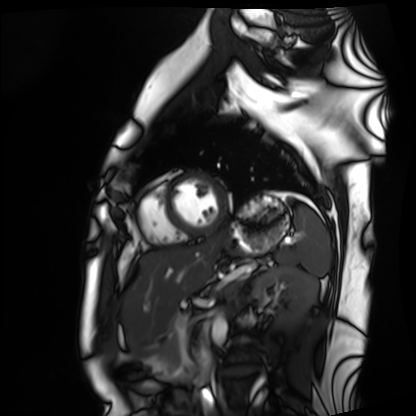
Cardiac MRI. Subject group: healthy volunteer.